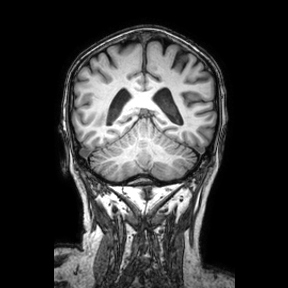
Case:
- modality — 3 Tesla brain MRI
- series — coronal
- study — ring-enhancing brain masses